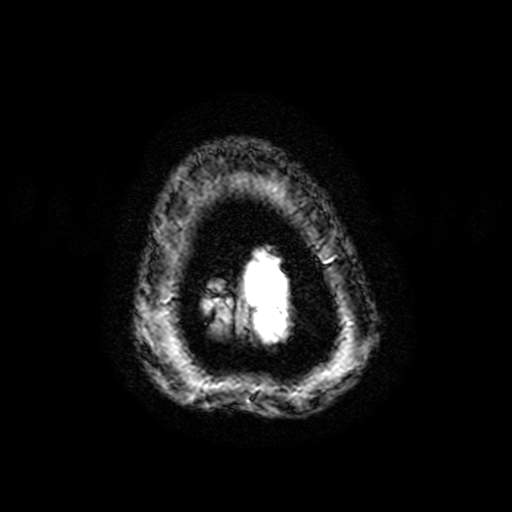
Q: What kind of scan is this?
A: 3 Tesla brain MRI.
Q: Series?
A: T2-weighted fast field echo with SENSE.
Study: ring-enhancing brain masses.